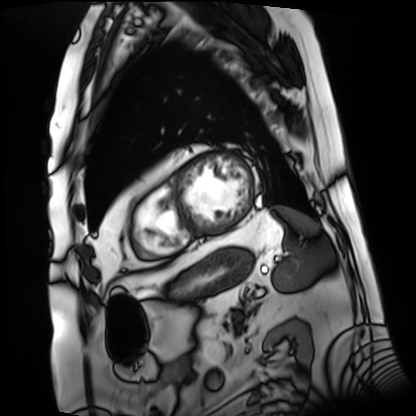
modality: cardiac MRI
subject group: patient